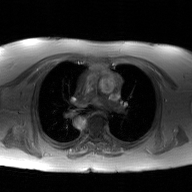
2D phase-contrast cine MRI of the ascending aorta, GAN super-resolution reconstruction.